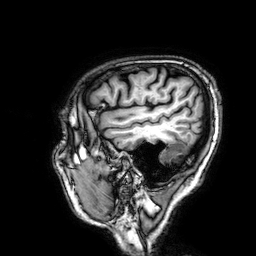
Q: What kind of scan is this?
A: 3 Tesla brain MRI.
Study: ring-enhancing brain masses.